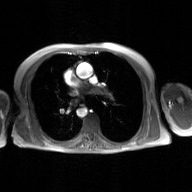
2D phase-contrast cine MRI of the ascending aorta, GAN super-resolution reconstruction.